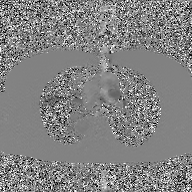
modality = 2D phase-contrast cine MRI of the ascending aorta, GAN super-resolution reconstruction